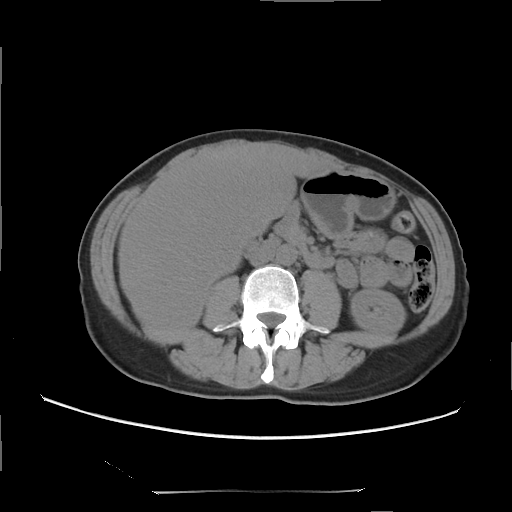
Clinical context:
Multiphase abdominal CT, liver, non-contrast phase. Patient: female, age 47.